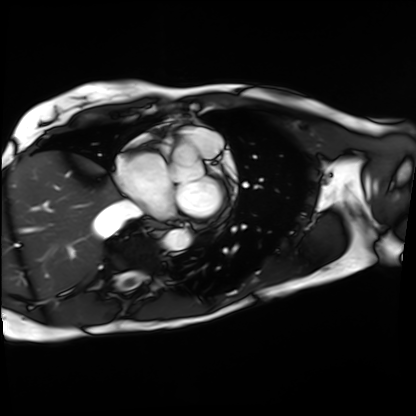
<scan>
  <modality>cardiac MRI</modality>
  <cohort>patient</cohort>
</scan>